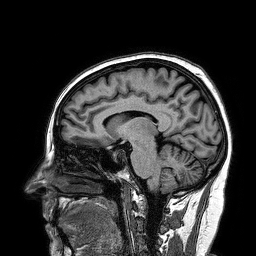
{"modality": {"type": "brain MRI", "field_strength": "3T"}, "series": "3D T1-weighted turbo field echo", "study_topic": "ring-enhancing brain masses"}